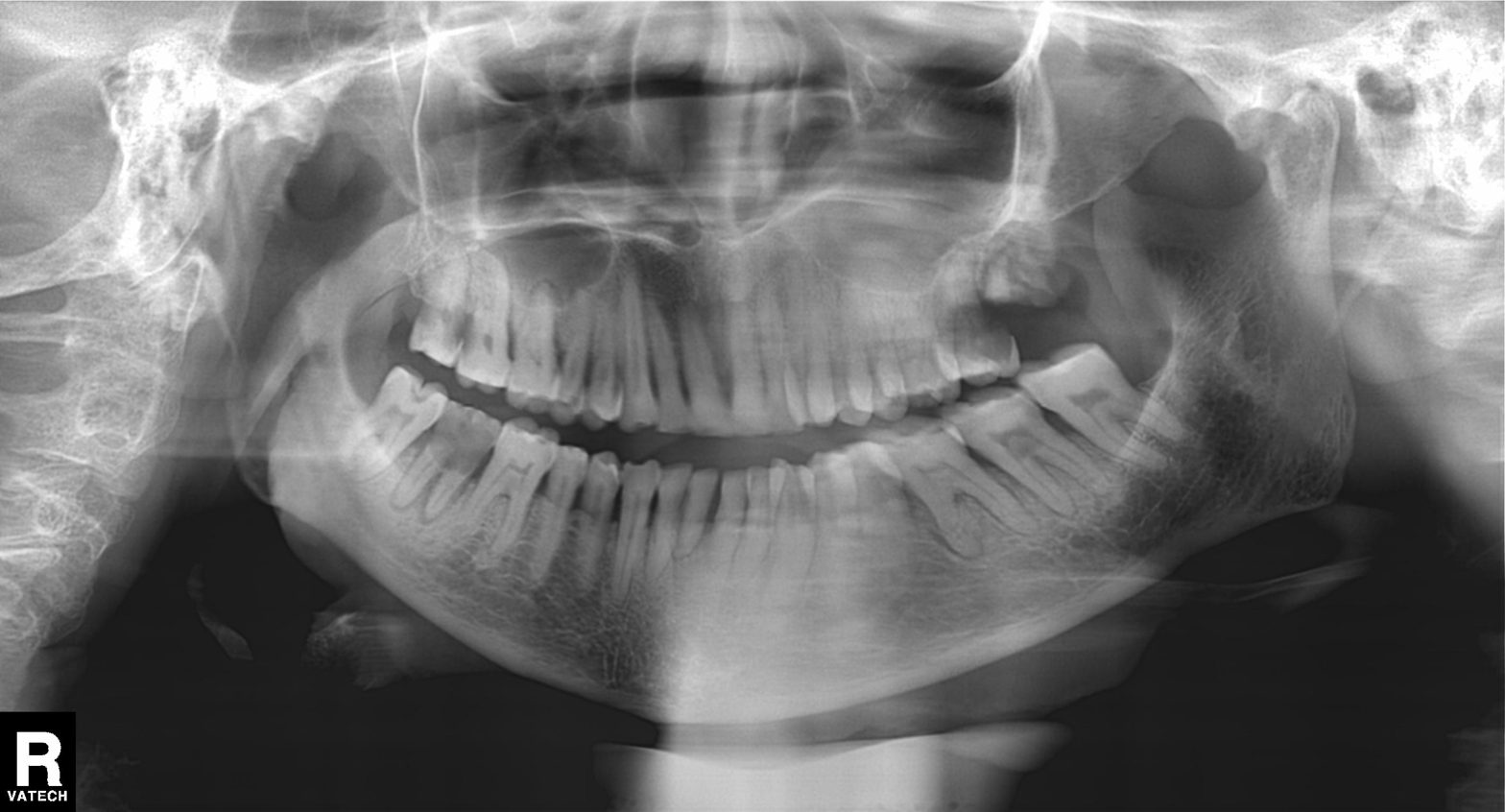
- modality: panoramic dental radiograph (orthopantomogram)
- finding: tooth impaction